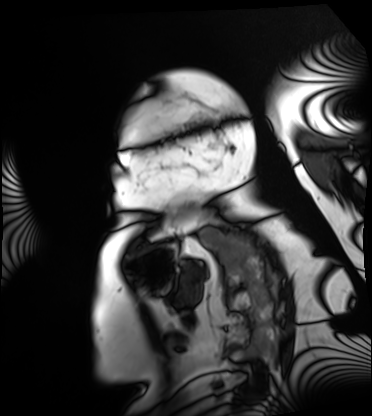
Q: What kind of scan is this?
A: Cardiac MRI.
Subject group: patient.